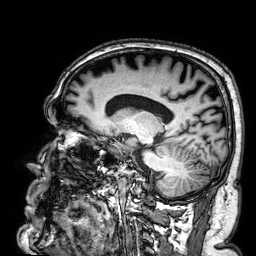
modality:
  type: brain MRI
  field_strength: 3T
series: 3D T1-weighted
study_topic: ring-enhancing brain masses